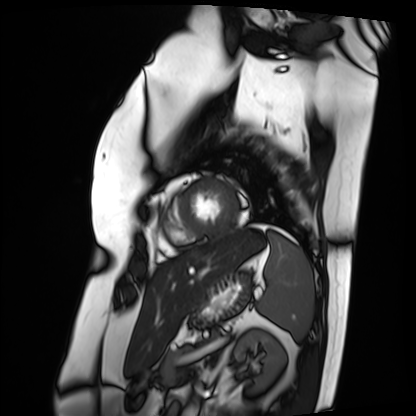
Cardiac MRI. Subject group: patient.